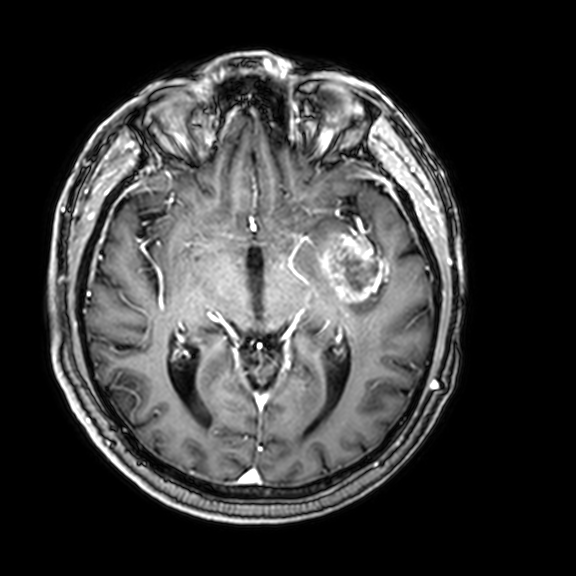
3 Tesla brain MRI.
Series: 3D T1-weighted with CLEAR.
Study: ring-enhancing brain masses.